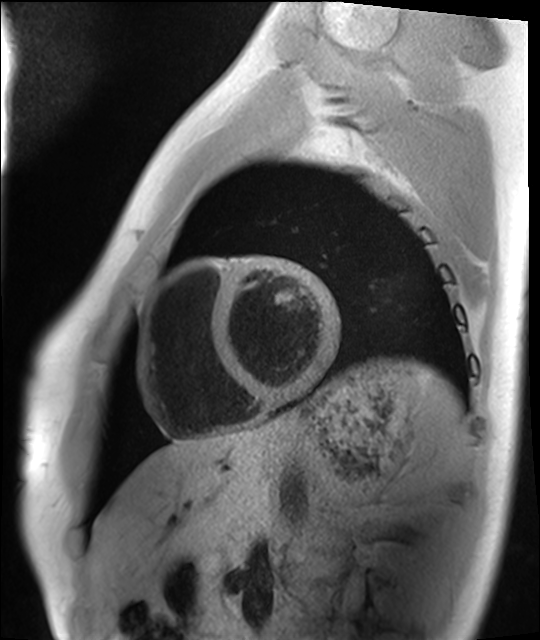
Cardiac MRI. Subject group: healthy volunteer.